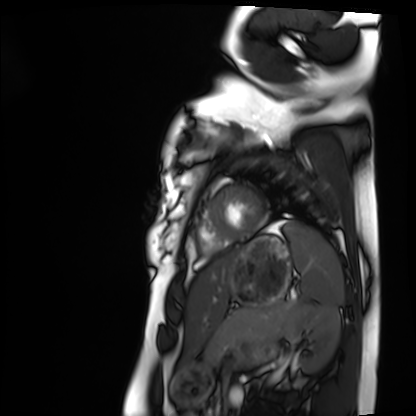
Clinical context: Cardiac MRI. Subject group: healthy volunteer.